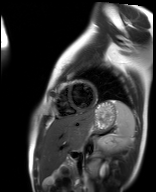
Case:
* modality · cardiac MR image of the myocardium
* subject cohort · healthy volunteer